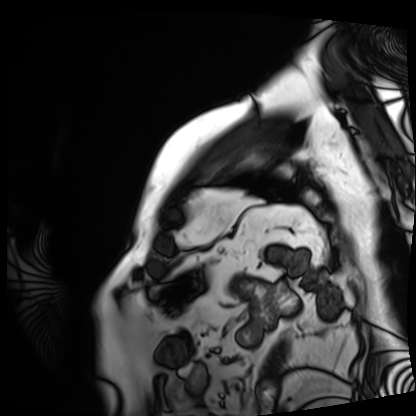
Summary: Cardiac MRI. Subject group: patient.